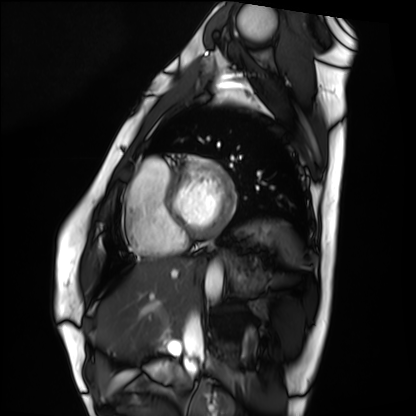
• modality: cardiac MRI
• subject group: healthy volunteer